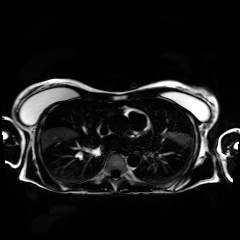
Chemical-shift-encoded cardiac MRI.